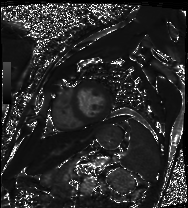
Summary:
Cardiac MRI. Subject group: patient.